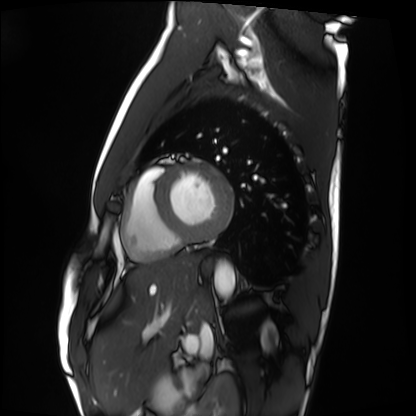
<study>
<modality>cardiac MRI</modality>
<cohort>healthy volunteer</cohort>
</study>